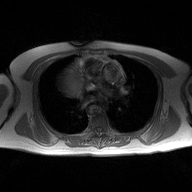
modality: 2D phase-contrast cine MRI of the ascending aorta.